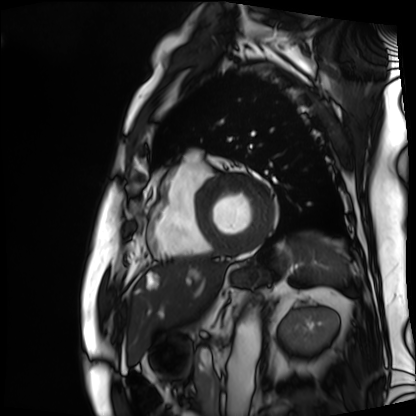
modality = cardiac MRI | subject group = patient.